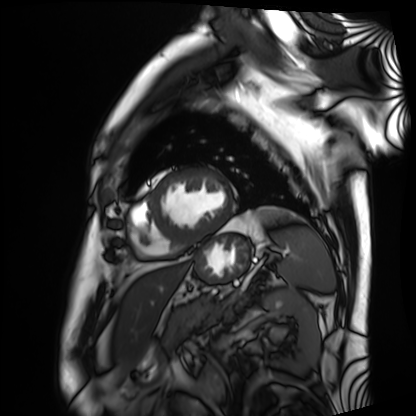
Q: What kind of scan is this?
A: Cardiac MRI.
Subject group: patient.